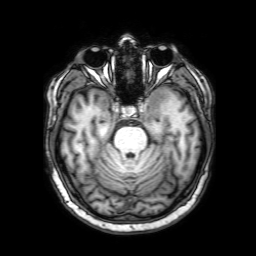
* modality — 3 Tesla brain MRI
* series — 3D T1-weighted with SENSE
* study — ring-enhancing brain masses